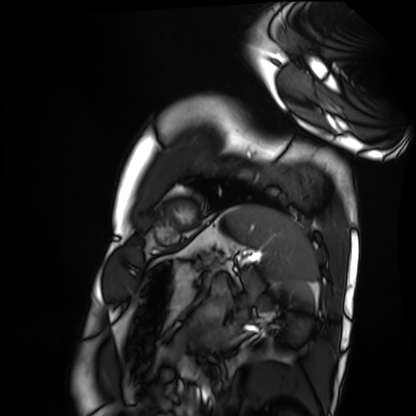
Summary:
Cardiac MRI. Subject group: healthy volunteer.